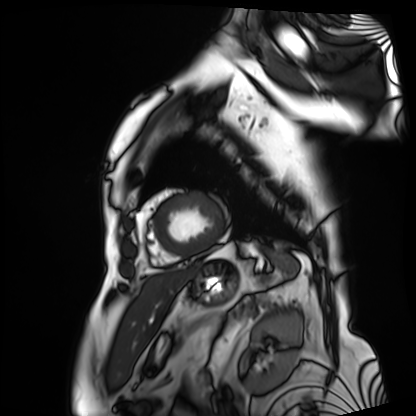
Case summary: Cardiac MRI. Subject group: patient.